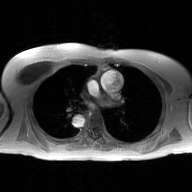
2D phase-contrast cine MRI of the ascending aorta, GAN super-resolution reconstruction.